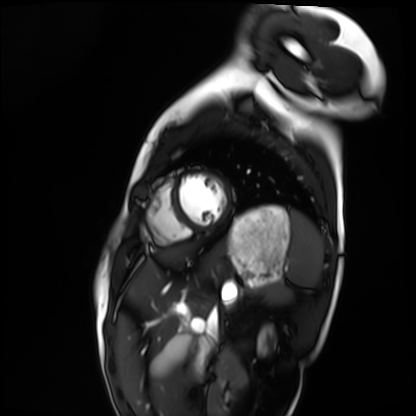
Summary:
Cardiac MRI. Subject group: healthy volunteer.